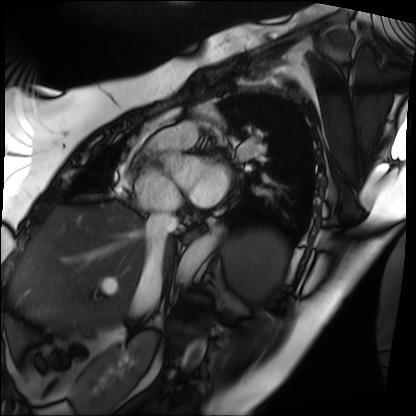
| field | value |
|---|---|
| modality | cardiac MRI |
| subject group | patient |